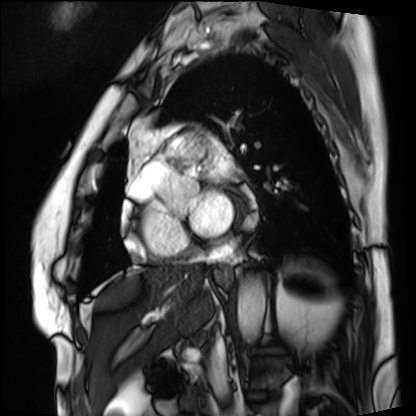
Cardiac MRI. Subject group: patient.